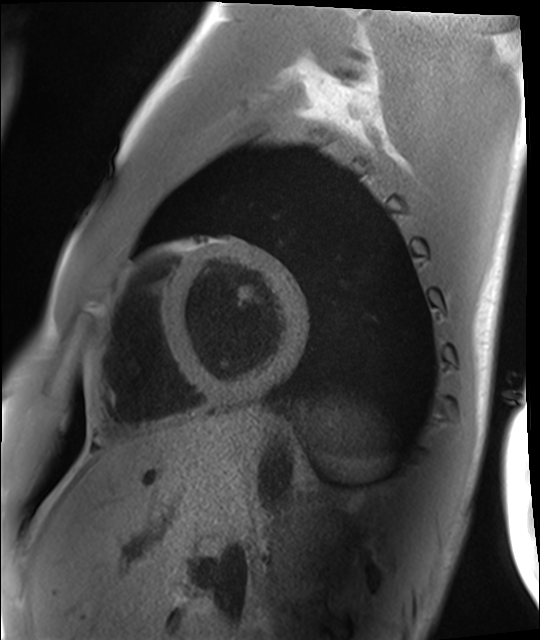
modality: cardiac MRI, subject group: healthy volunteer.